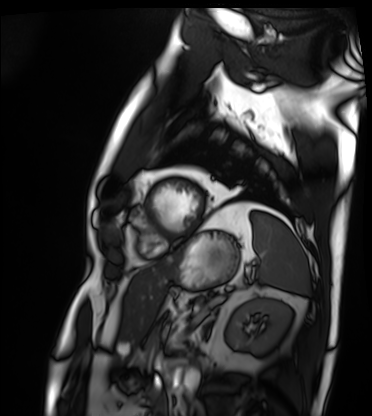
<scan>
  <modality>cardiac MRI</modality>
  <cohort>patient</cohort>
</scan>